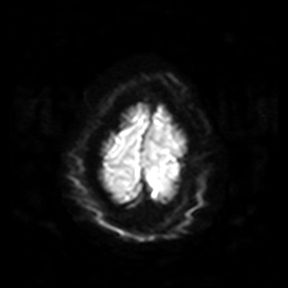
{"modality": {"type": "brain MRI", "field_strength": "3T"}, "series": "diffusion-weighted imaging", "study_topic": "ring-enhancing brain masses"}